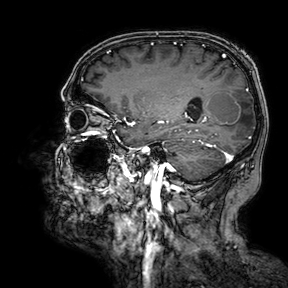
| field | value |
|---|---|
| modality | 3 Tesla brain MRI |
| series | 3D T1-weighted turbo field echo with SENSE |
| study | ring-enhancing brain masses |